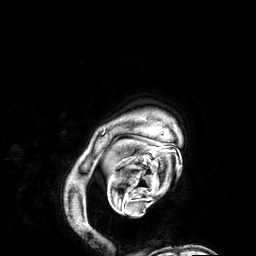
Summary:
3 Tesla brain MRI. Series: 3D T1-weighted. Study: ring-enhancing brain masses.